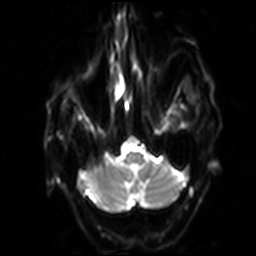
modality: 3 Tesla brain MRI | series: diffusion-weighted imaging with SENSE (WIP) | study: ring-enhancing brain masses.